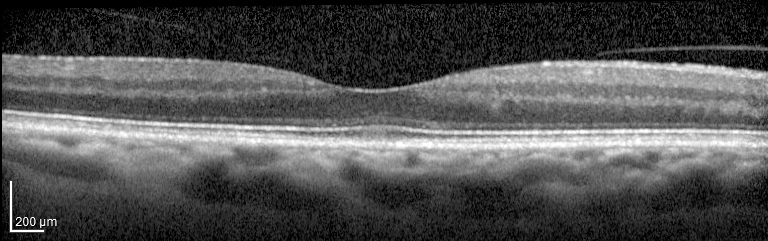
modality=spectral-domain optical coherence tomography (SD-OCT) of the macula
subject=female, age 63, right eye
cohort=non-diabetic control
ETDRS-grid retinal thickness (μm)=central 267, inner temporal 315, inner nasal 327, inner superior 304, inner inferior 340, outer temporal 285, outer nasal 302, outer superior 283, outer inferior 298